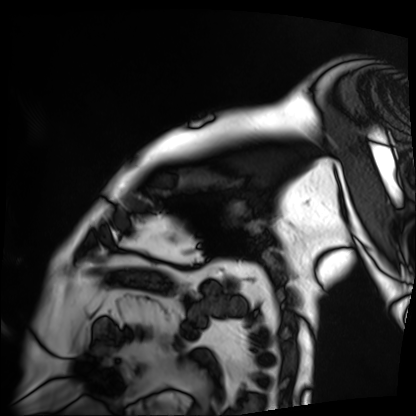
Summary: Cardiac MRI. Subject group: patient.